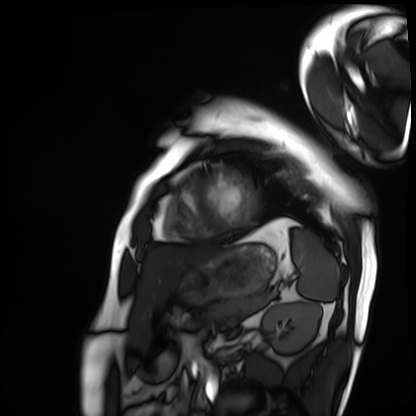
Cardiac MRI. Subject group: patient.